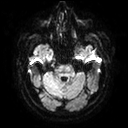
Summary:
3 Tesla brain MRI. Series: diffusion tensor imaging (medium iso). Study: ring-enhancing brain masses.